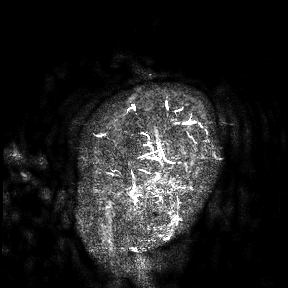
modality=3 Tesla brain MRI; study=ring-enhancing brain masses.